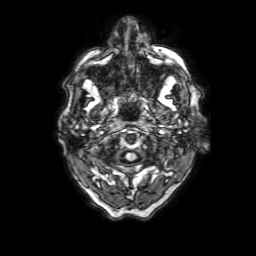
3 Tesla brain MRI.
Series: 3D T1-weighted with SENSE.
Study: ring-enhancing brain masses.